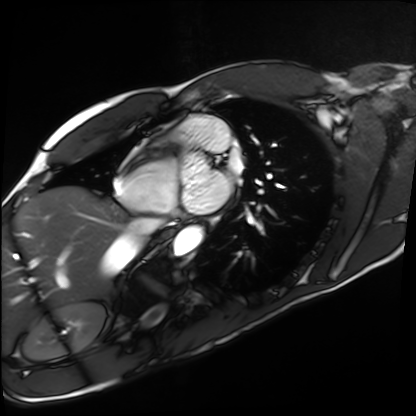
Cardiac MRI. Subject group: healthy volunteer.